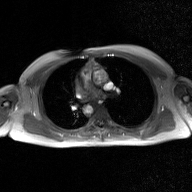
Summary:
2D phase-contrast cine MRI of the ascending aorta, GAN super-resolution reconstruction.